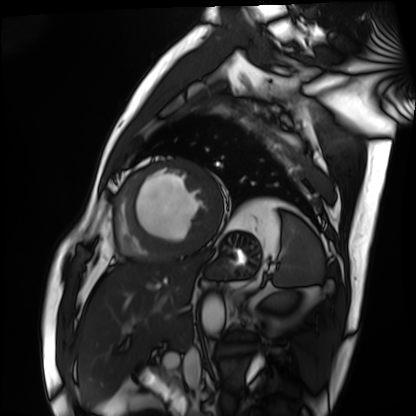
Cardiac MRI. Subject group: patient.